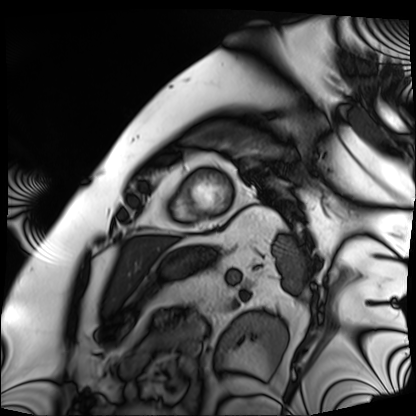
modality — cardiac MRI | subject group — patient.